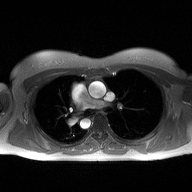
2D phase-contrast cine MRI of the ascending aorta, high-resolution GRAPPA acquisition.